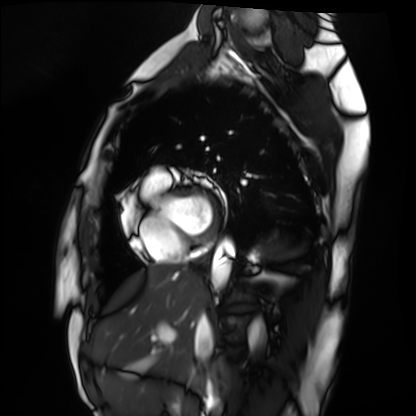
modality: cardiac MRI | subject group: healthy volunteer.